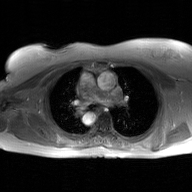
modality: 2D phase-contrast cine MRI of the ascending aorta, GAN super-resolution reconstruction.